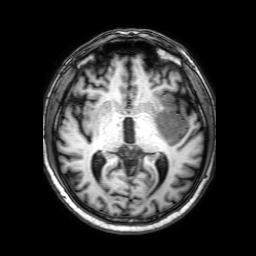
modality: 3 Tesla brain MRI | series: 3D T1-weighted with SENSE | study: ring-enhancing brain masses.